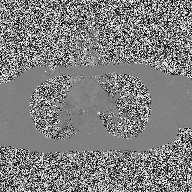
modality = 2D phase-contrast cine MRI of the ascending aorta.